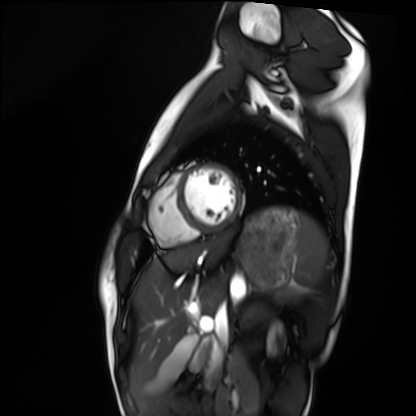
<study>
  <modality>cardiac MRI</modality>
  <cohort>healthy volunteer</cohort>
</study>